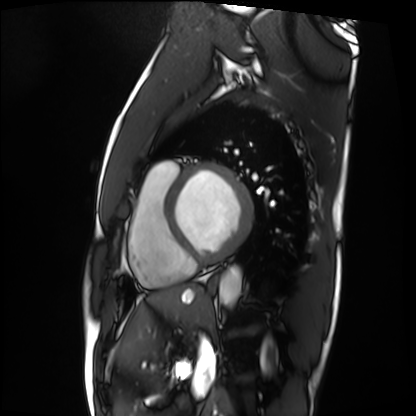
Cardiac MRI. Subject group: patient.